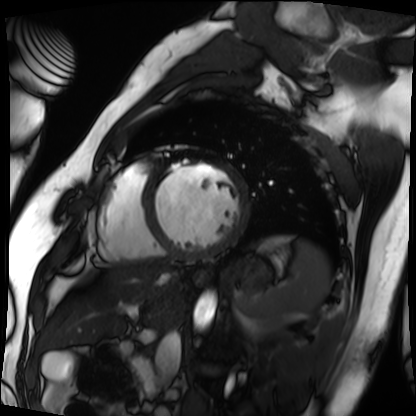
Case summary: Cardiac MRI. Subject group: patient.